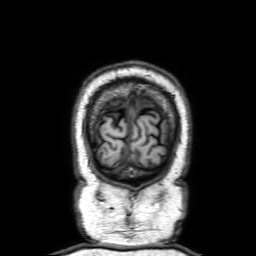
Clinical context: 3 Tesla brain MRI. Series: 3D T1-weighted with SENSE. Study: ring-enhancing brain masses.